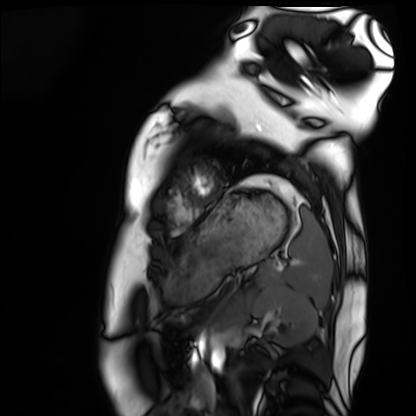
Cardiac MRI.
Subject group: healthy volunteer.